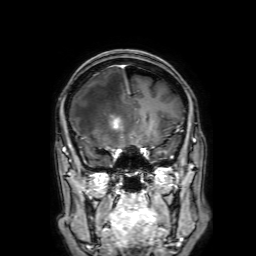
Clinical context: 3 Tesla brain MRI. Series: 3D T1-weighted with SENSE. Study: ring-enhancing brain masses.